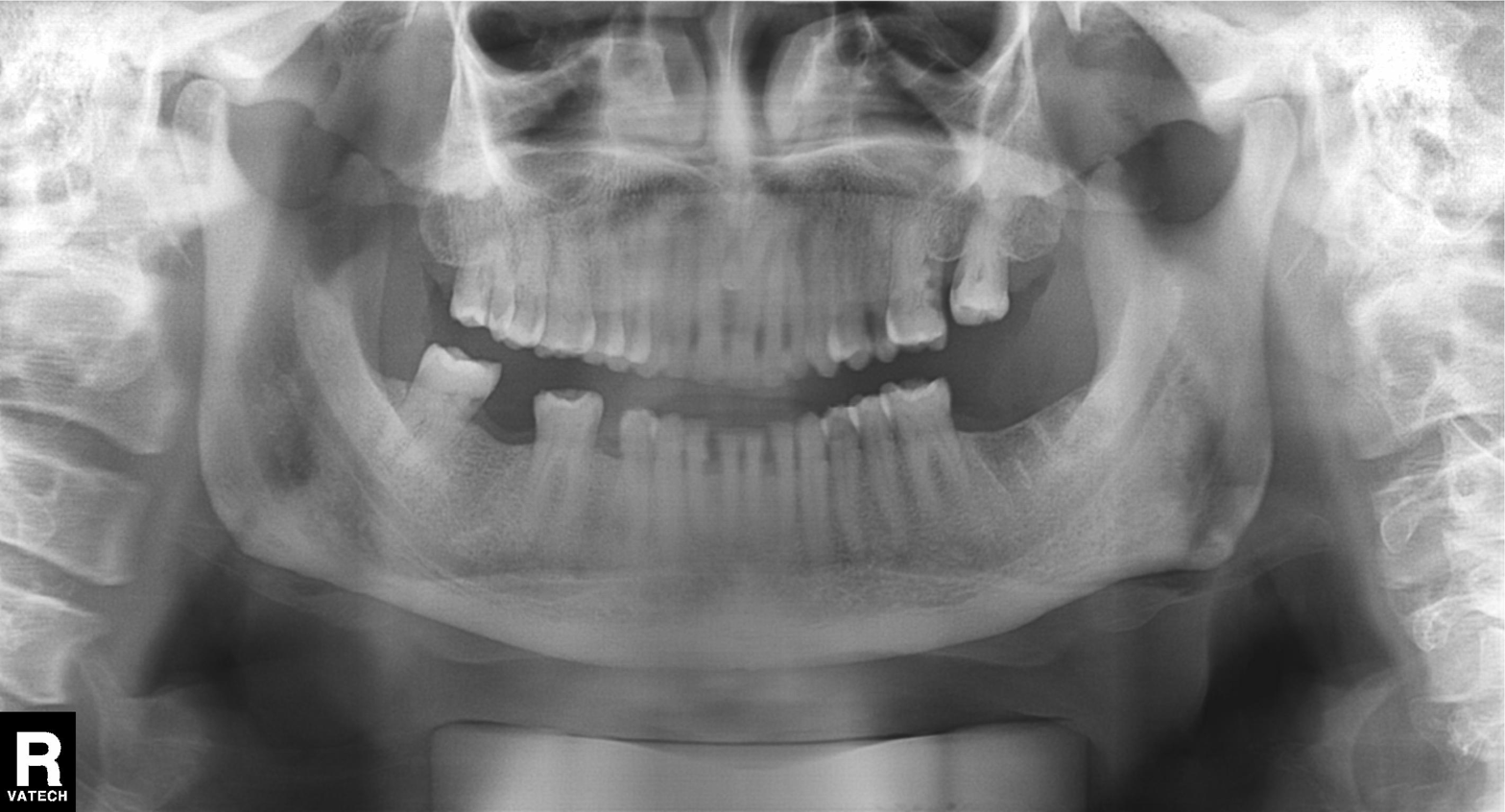
modality: panoramic dental radiograph (orthopantomogram)
finding: dental caries (cavities)